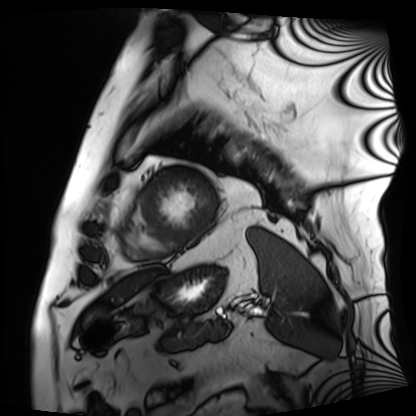
* modality: cardiac MRI
* subject group: patient